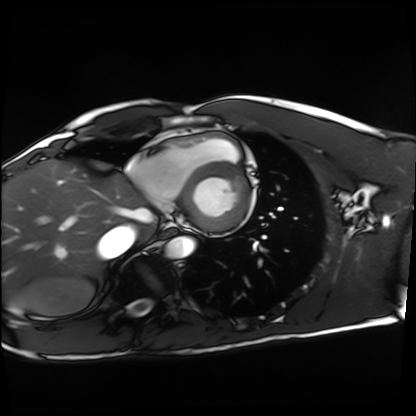
<case>
<modality>cardiac MRI</modality>
<cohort>healthy volunteer</cohort>
</case>